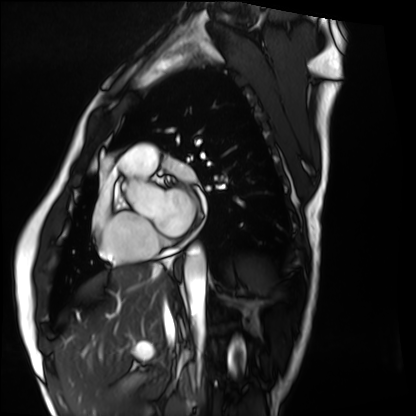
- modality · cardiac MRI
- subject group · healthy volunteer